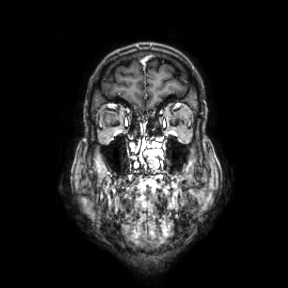
Case summary: 3 Tesla brain MRI. Series: coronal. Study: ring-enhancing brain masses.